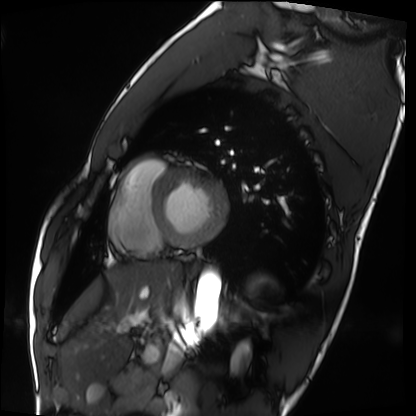
Cardiac MRI. Subject group: healthy volunteer.